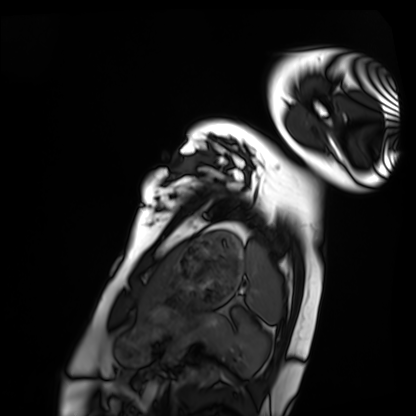
Cardiac MRI. Subject group: healthy volunteer.